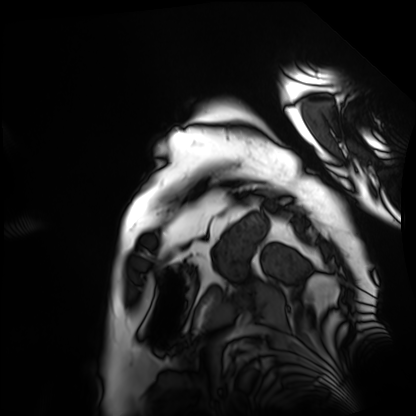
Summary: Cardiac MRI. Subject group: patient.